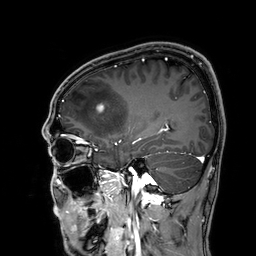
modality = 3 Tesla brain MRI | series = 3D T1-weighted | study = ring-enhancing brain masses.